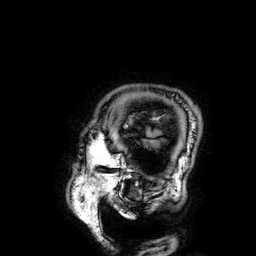
3 Tesla brain MRI.
Series: 3D T1-weighted.
Study: ring-enhancing brain masses.